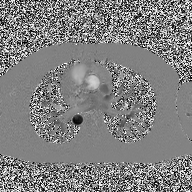
2D phase-contrast cine MRI of the ascending aorta, high-resolution GRAPPA acquisition.